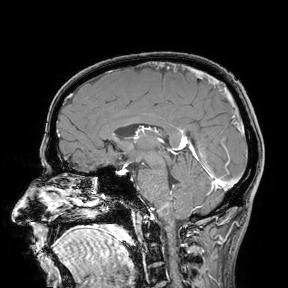
modality=3 Tesla brain MRI | study=ring-enhancing brain masses.